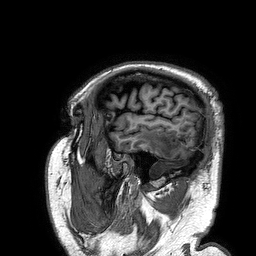
Summary:
3 Tesla brain MRI. Study: ring-enhancing brain masses.